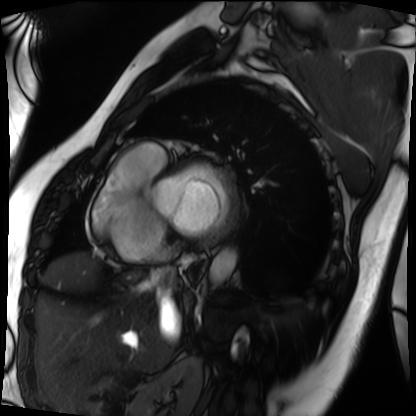
modality = cardiac MRI; subject group = patient.